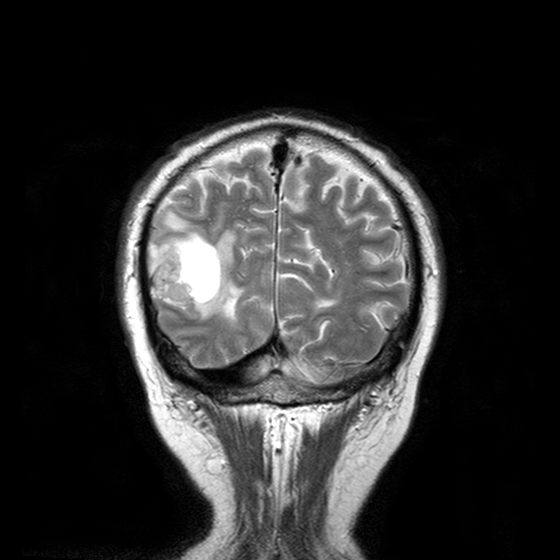
Clinical context:
3 Tesla brain MRI. Series: T2-weighted turbo spin echo with CLEAR. Study: ring-enhancing brain masses.